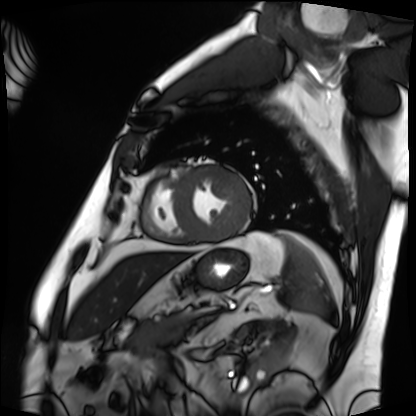
Cardiac MRI.
Subject group: patient.